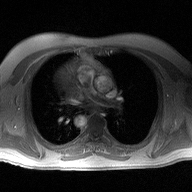
2D phase-contrast cine MRI of the ascending aorta, high-resolution GRAPPA acquisition.